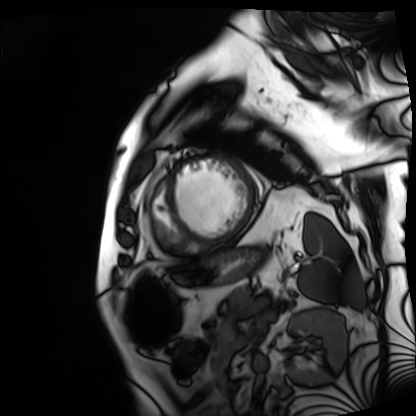
Cardiac MRI. Subject group: patient.